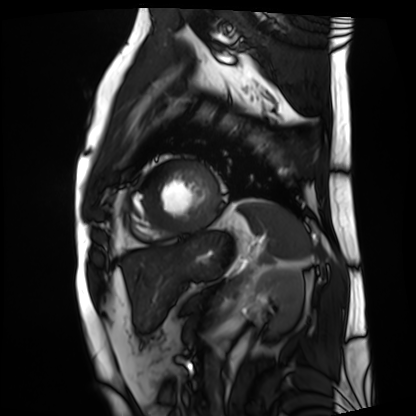
modality: cardiac MRI
cohort: patient